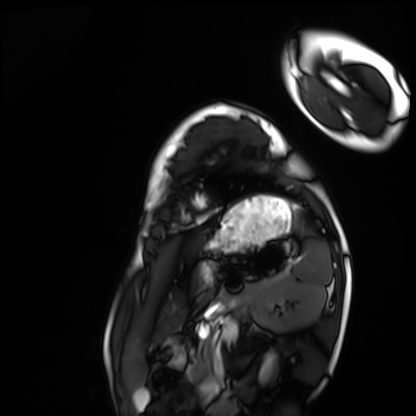
  modality: cardiac MRI
  cohort: healthy volunteer